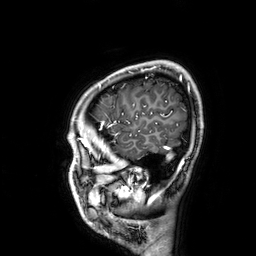
Summary: 3 Tesla brain MRI. Series: 3D T1-weighted. Study: ring-enhancing brain masses.